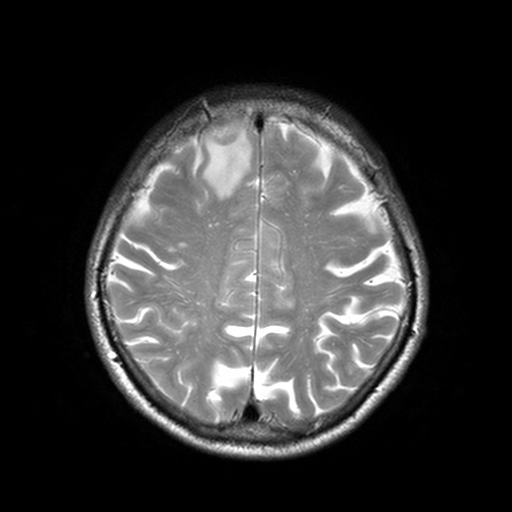
3 Tesla brain MRI.
Series: T2-weighted turbo spin echo, 3 mm.
Study: ring-enhancing brain masses.